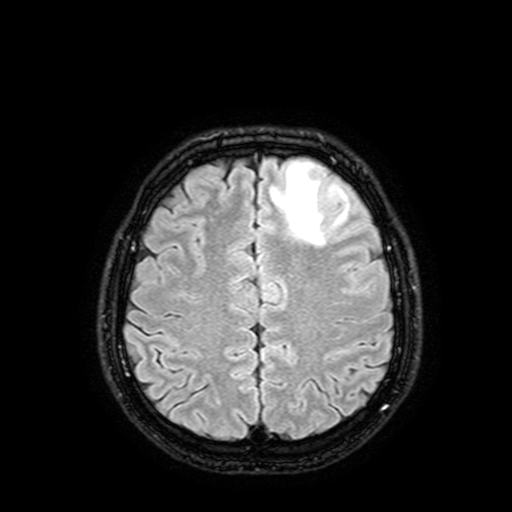
Summary:
3 Tesla brain MRI. Series: FLAIR with SPAIR, 3 mm. Study: ring-enhancing brain masses.